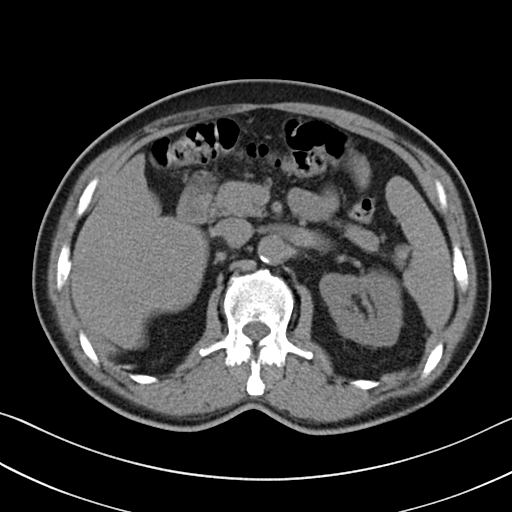
Multiphase abdominal CT, liver, non-contrast phase. Patient: male, age 62. History: viral hepatitis.